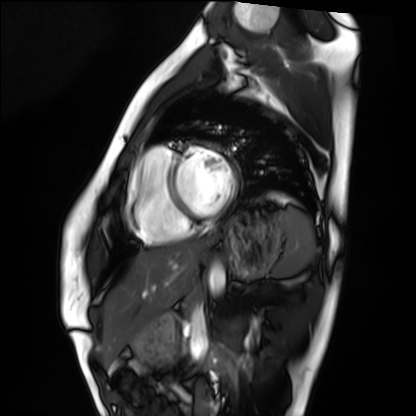
modality = cardiac MRI | subject group = healthy volunteer.